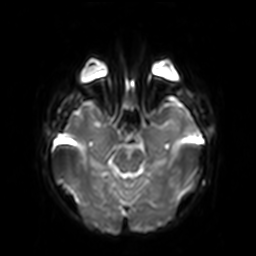
| field | value |
|---|---|
| modality | 3 Tesla brain MRI |
| series | diffusion-weighted imaging with SENSE (WIP) |
| study | ring-enhancing brain masses |